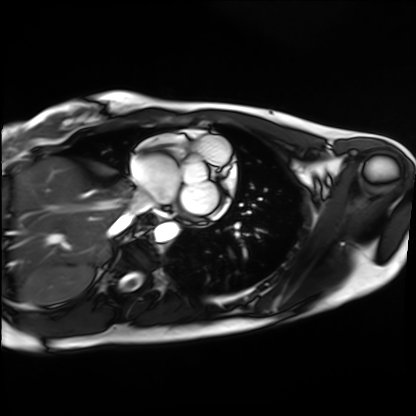
Q: What kind of scan is this?
A: Cardiac MRI.
Subject group: healthy volunteer.